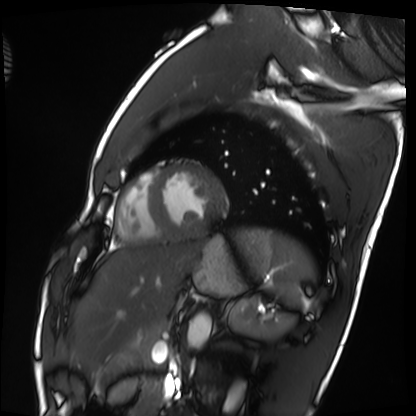
Summary:
Cardiac MRI. Subject group: healthy volunteer.